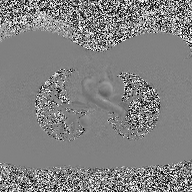
Summary:
2D phase-contrast cine MRI of the ascending aorta, high-resolution GRAPPA acquisition.